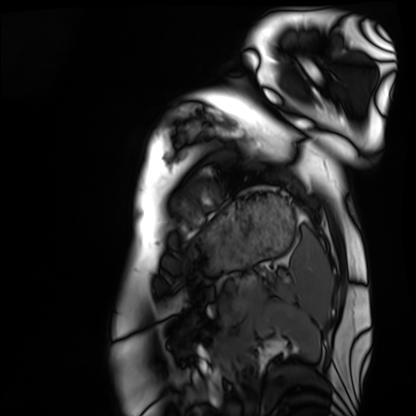
modality=cardiac MRI
subject group=healthy volunteer